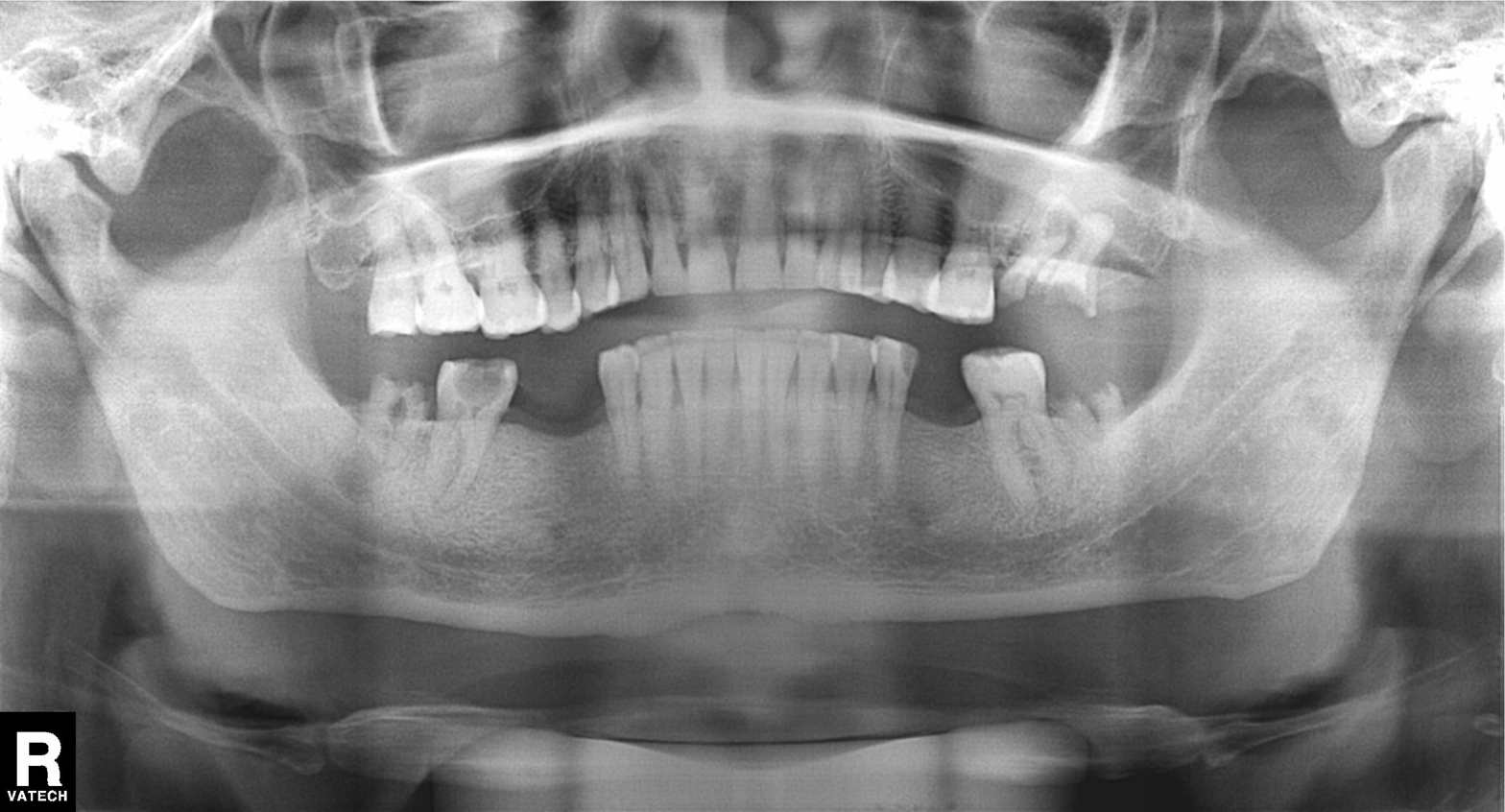
Case summary:
Panoramic dental radiograph (orthopantomogram).
Conclusion:
Dental caries (cavities).